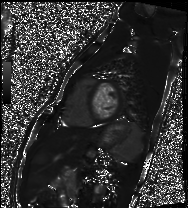
Cardiac MRI.
Subject group: healthy volunteer.